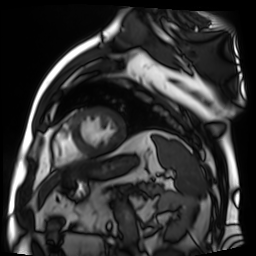
Cardiac MR image of the myocardium.
Subject cohort: cardiac patient.